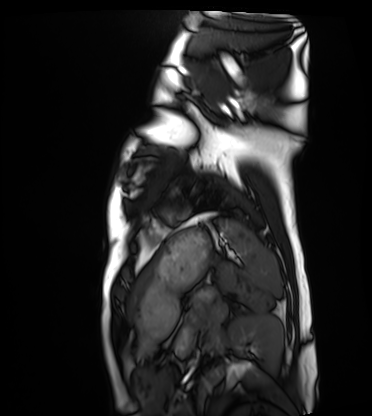
Cardiac MRI.
Subject group: healthy volunteer.